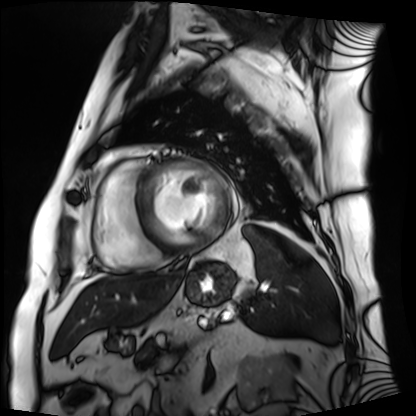
Summary:
Cardiac MRI. Subject group: patient.